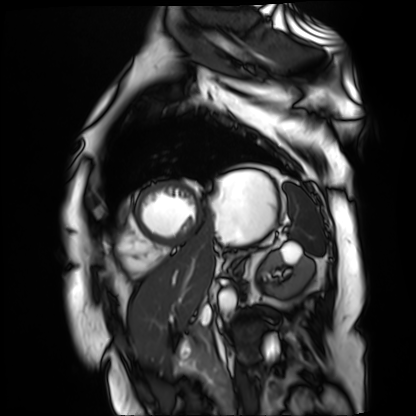
modality: cardiac MR image of the myocardium, subject cohort: cardiac patient.